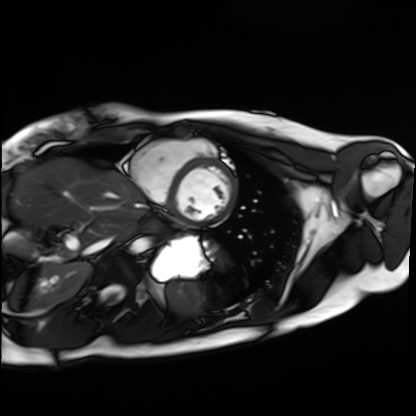
Summary:
Cardiac MRI. Subject group: healthy volunteer.